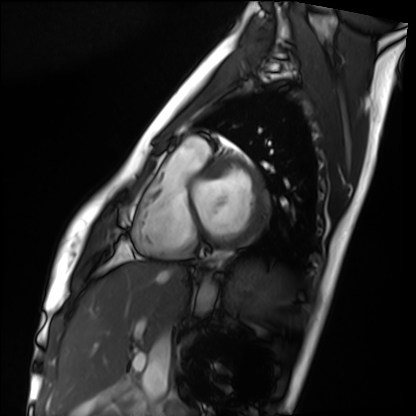
{
  "modality": "cardiac MRI",
  "cohort": "healthy volunteer"
}